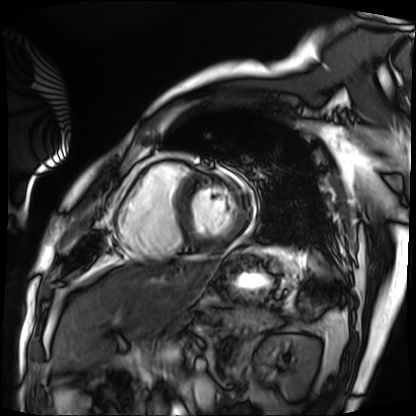
| field | value |
|---|---|
| modality | cardiac MRI |
| subject group | patient |